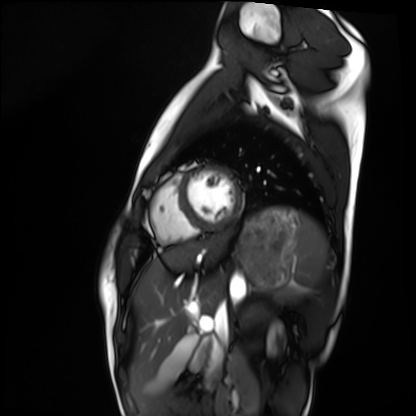
modality: cardiac MRI
cohort: healthy volunteer